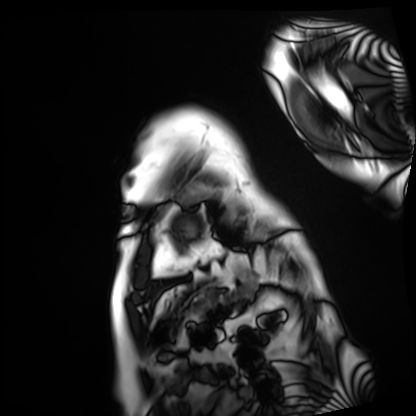
Cardiac MRI. Subject group: patient.